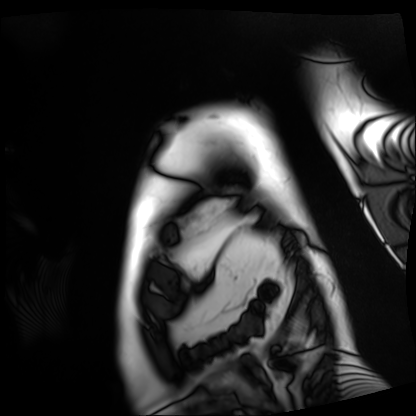
modality: cardiac MRI
cohort: patient